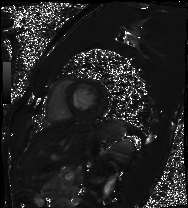
Cardiac MRI. Subject group: healthy volunteer.